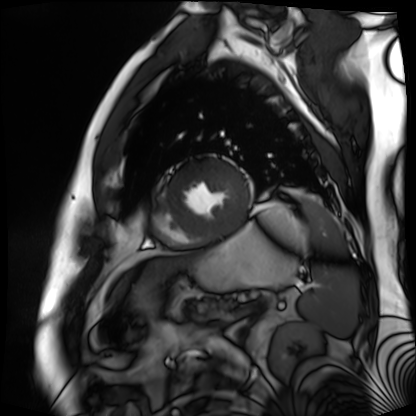
Cardiac MR image of the myocardium. Subject cohort: cardiac patient.